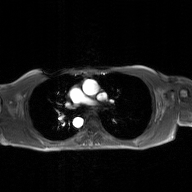
modality: 2D phase-contrast cine MRI of the ascending aorta, GAN super-resolution reconstruction.